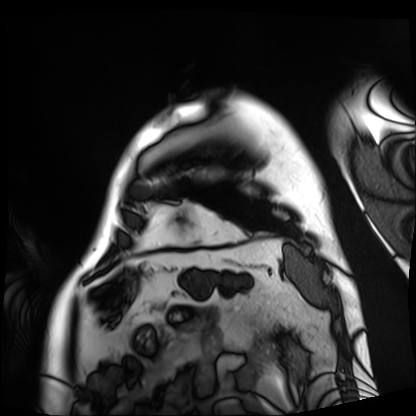
Cardiac MRI.
Subject group: patient.